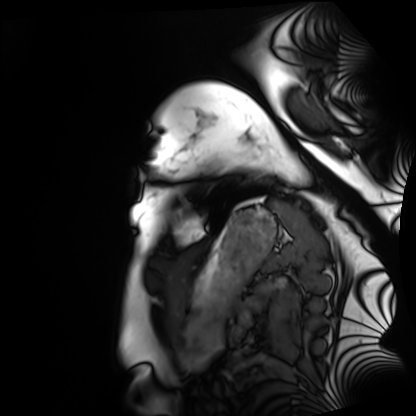
Case summary: Cardiac MRI. Subject group: healthy volunteer.